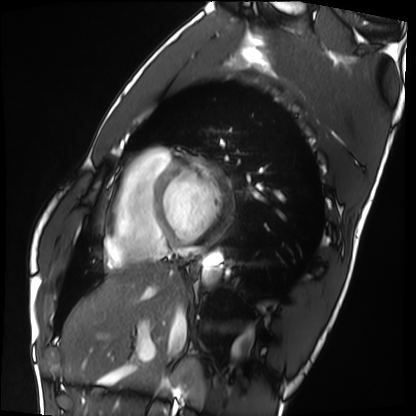
Cardiac MRI. Subject group: healthy volunteer.